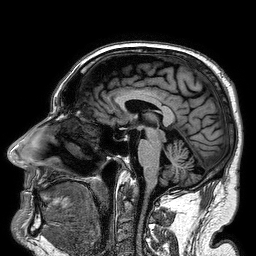
Summary:
3 Tesla brain MRI. Series: 3D T1-weighted turbo field echo. Study: ring-enhancing brain masses.